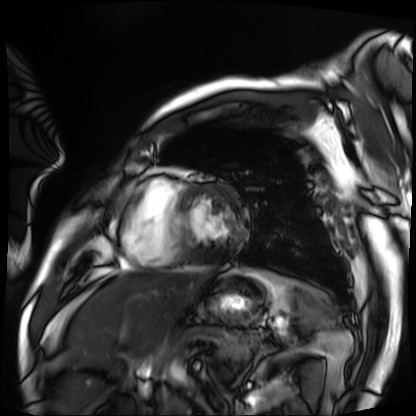
<case>
<modality>cardiac MRI</modality>
<cohort>patient</cohort>
</case>